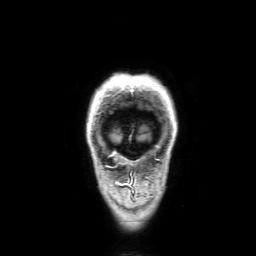
3 Tesla brain MRI.
Series: 3D T1-weighted with SENSE.
Study: ring-enhancing brain masses.